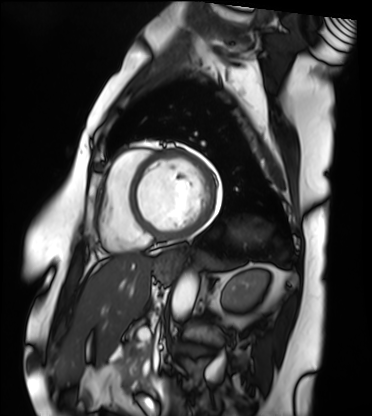
{"modality": "cardiac MRI", "cohort": "patient"}